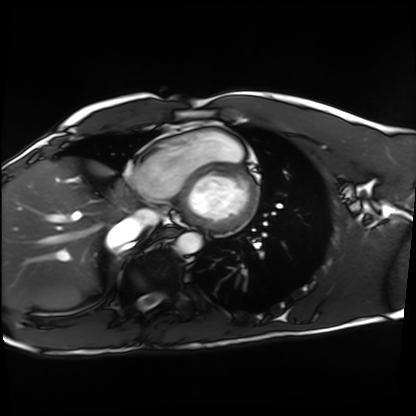
Cardiac MRI.
Subject group: healthy volunteer.